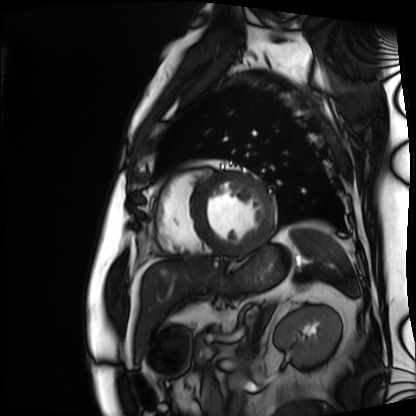
| field | value |
|---|---|
| modality | cardiac MRI |
| subject group | patient |